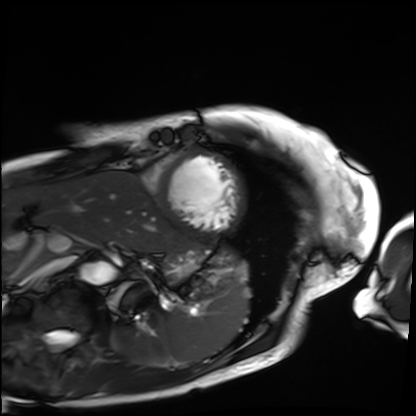
Cardiac MRI. Subject group: patient.